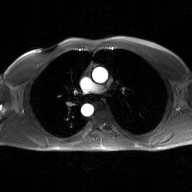
  modality:
    type: 2D phase-contrast cine MRI
    region: ascending aorta
    reconstruction: GAN super-resolution reconstruction